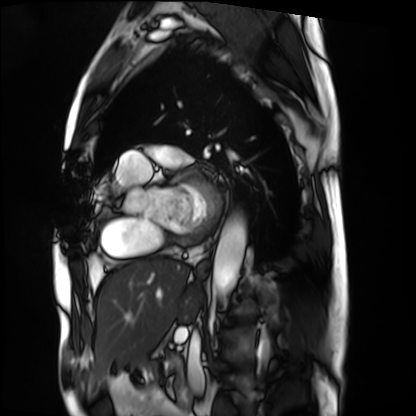
• modality — cardiac MRI
• subject group — patient